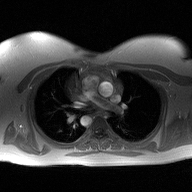
Summary:
2D phase-contrast cine MRI of the ascending aorta, high-resolution GRAPPA acquisition.